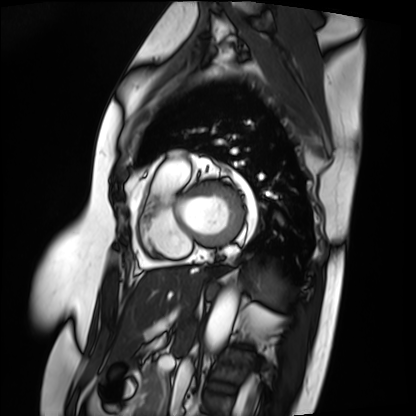
modality: cardiac MRI
cohort: patient